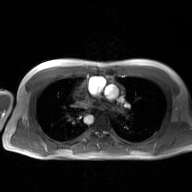
2D phase-contrast cine MRI of the ascending aorta, GAN super-resolution reconstruction.